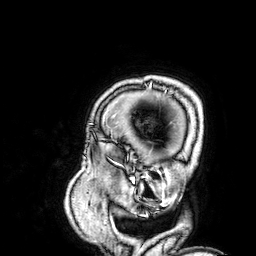
modality = 3 Tesla brain MRI; series = 3D T1-weighted; study = ring-enhancing brain masses.